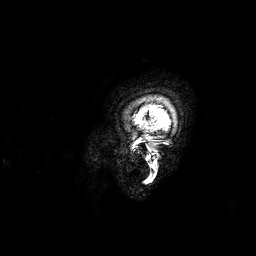
Summary:
3 Tesla brain MRI. Series: 3D T1-weighted. Study: ring-enhancing brain masses.